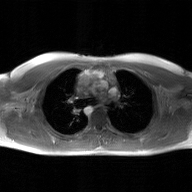
2D phase-contrast cine MRI of the ascending aorta, GAN super-resolution reconstruction.